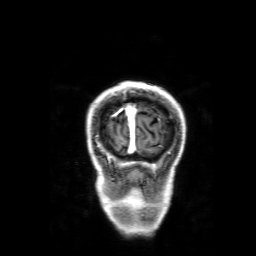
  modality:
    type: brain MRI
    field_strength: 3T
  series: 3D T1-weighted with SENSE
  study_topic: ring-enhancing brain masses